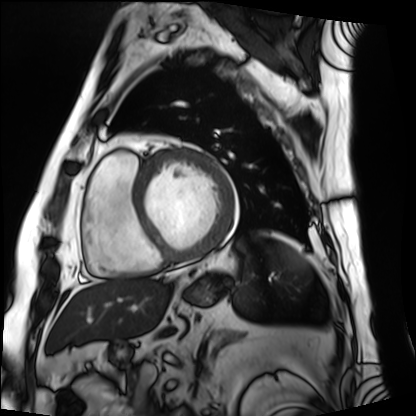
Cardiac MRI. Subject group: patient.